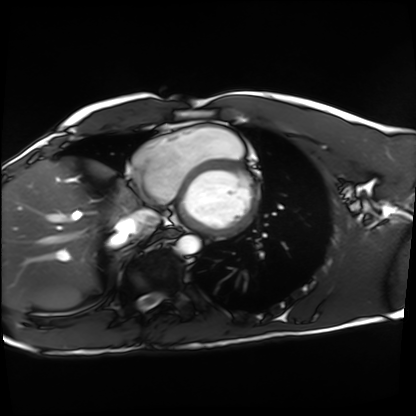
Clinical context:
Cardiac MRI. Subject group: healthy volunteer.